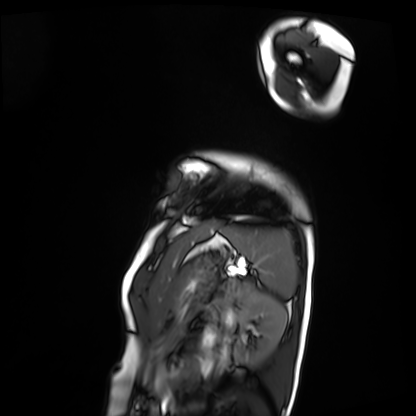
modality: cardiac MRI
cohort: patient